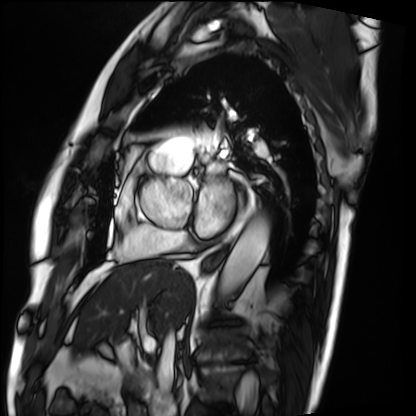
<record>
  <modality>cardiac MRI</modality>
  <cohort>patient</cohort>
</record>